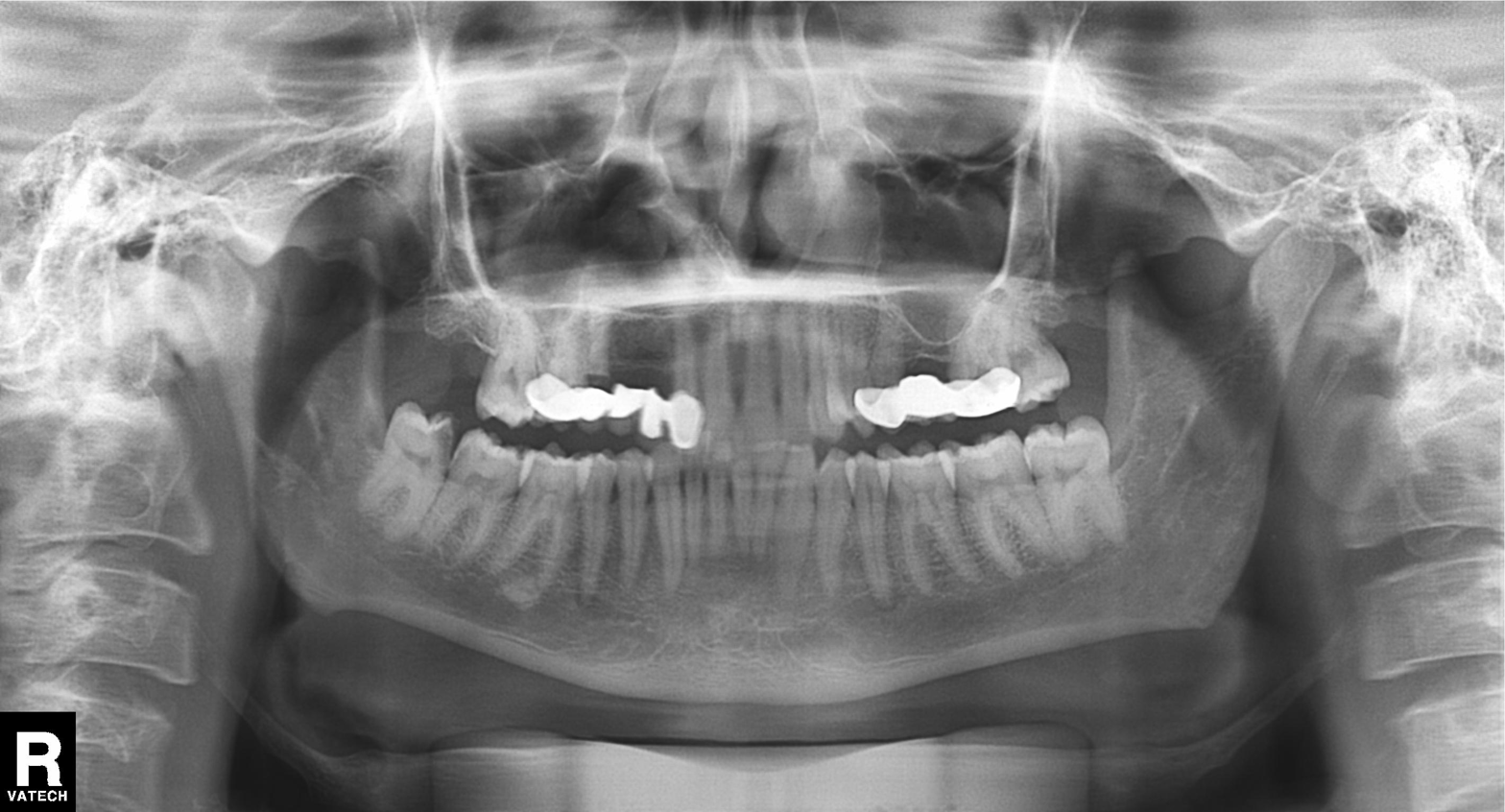
Panoramic dental radiograph (orthopantomogram).
Finding: tooth impaction.